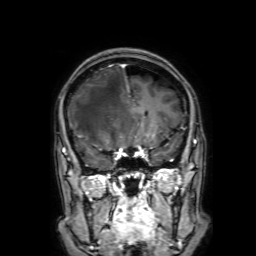
3 Tesla brain MRI. Series: 3D T1-weighted with SENSE. Study: ring-enhancing brain masses.